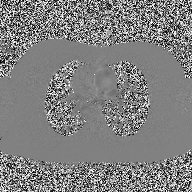
Case:
* modality — 2D phase-contrast cine MRI of the ascending aorta